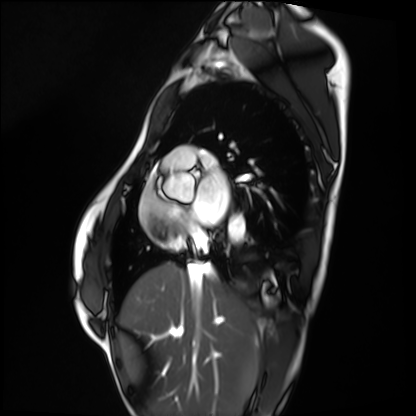
| field | value |
|---|---|
| modality | cardiac MRI |
| subject group | healthy volunteer |